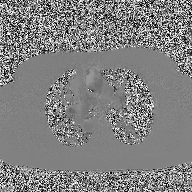
2D phase-contrast cine MRI of the ascending aorta, high-resolution GRAPPA acquisition.